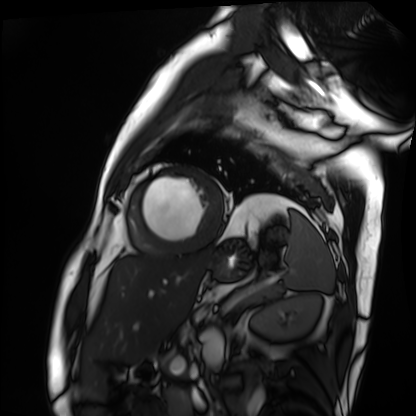
Case summary:
Cardiac MRI. Subject group: patient.